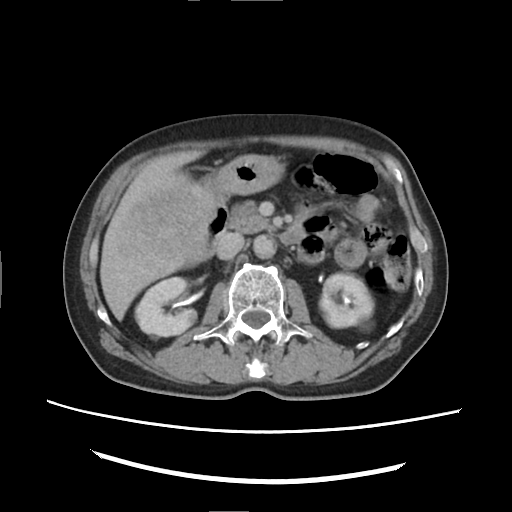
modality — multiphase abdominal CT, liver, delayed phase.